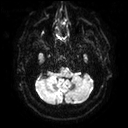
Case summary: 3 Tesla brain MRI. Study: ring-enhancing brain masses.